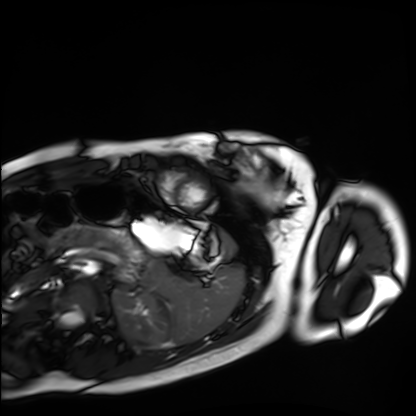
Cardiac MRI. Subject group: healthy volunteer.